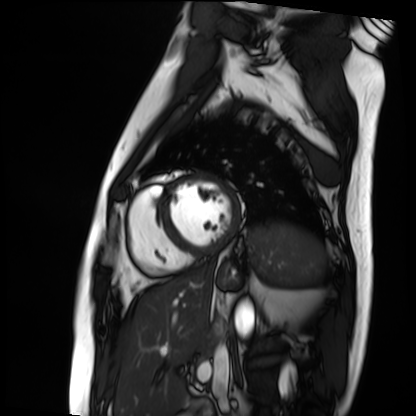
Cardiac MRI. Subject group: patient.